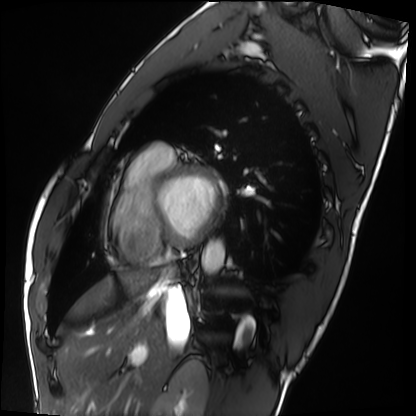
  modality: cardiac MRI
  cohort: healthy volunteer